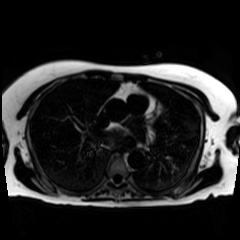
{"modality": "chemical-shift-encoded cardiac MRI"}